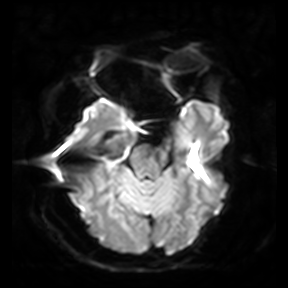
Q: What kind of scan is this?
A: 3 Tesla brain MRI.
Q: Series?
A: Diffusion-weighted imaging.
Study: ring-enhancing brain masses.